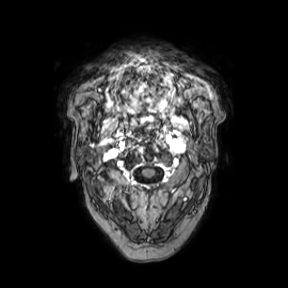
Q: What kind of scan is this?
A: 3 Tesla brain MRI.
Q: Series?
A: Axial.
Study: ring-enhancing brain masses.